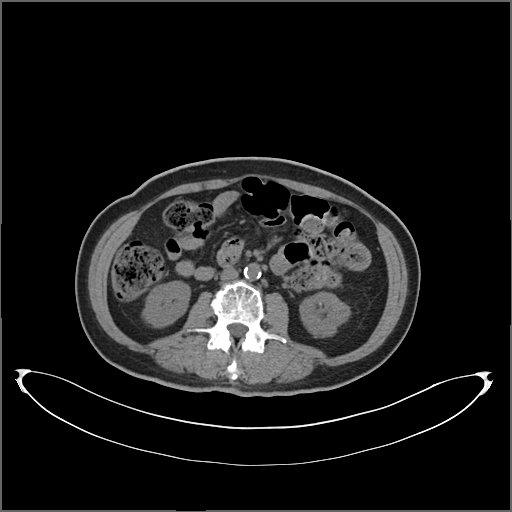
Multiphase abdominal CT, liver, non-contrast phase. Patient: female, age 60.